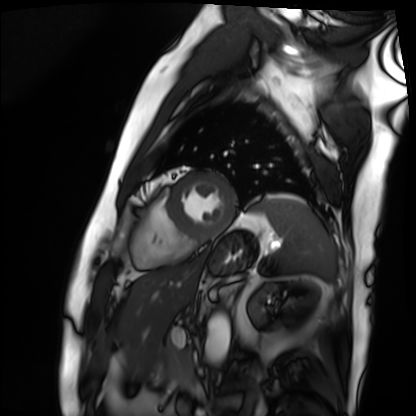
• modality: cardiac MRI
• subject group: patient